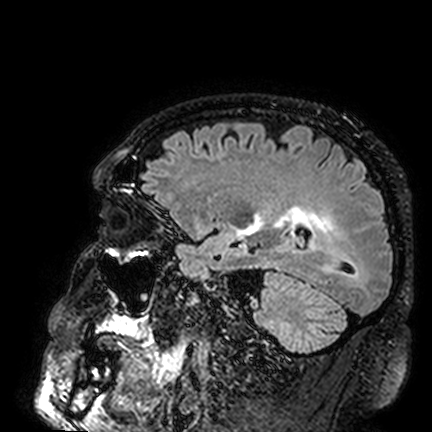
3 Tesla brain MRI. Series: FLAIR VISTA. Study: ring-enhancing brain masses.